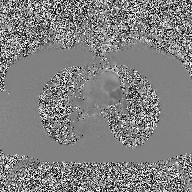
Q: What kind of scan is this?
A: 2D phase-contrast cine MRI of the ascending aorta.